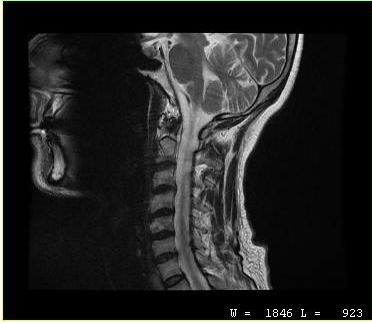
Case:
* modality — MRI of the cervical spine
* study — cervical spondylosis